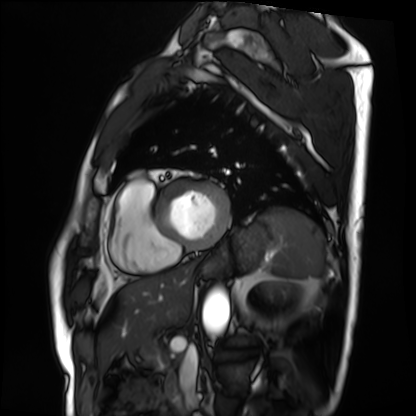
| field | value |
|---|---|
| modality | cardiac MRI |
| subject group | patient |